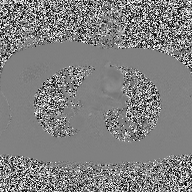
2D phase-contrast cine MRI of the ascending aorta, high-resolution GRAPPA acquisition.